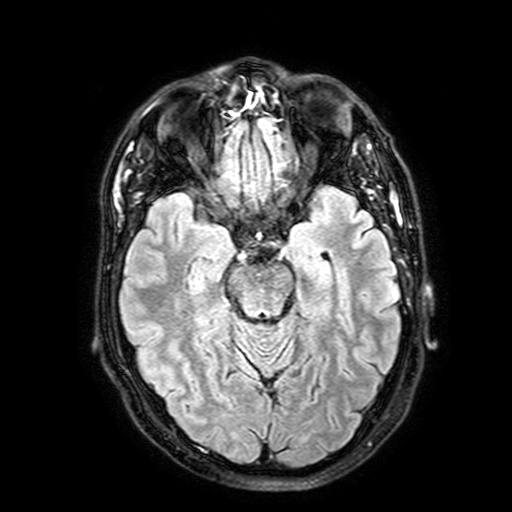
3 Tesla brain MRI. Series: FLAIR with SPAIR, 3 mm. Study: ring-enhancing brain masses.